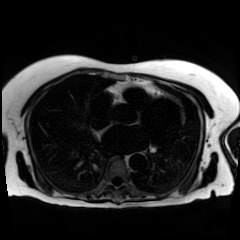
Chemical-shift-encoded cardiac MRI.